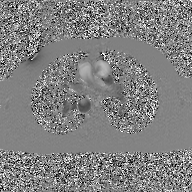
Q: What kind of scan is this?
A: 2D phase-contrast cine MRI of the ascending aorta, GAN super-resolution reconstruction.